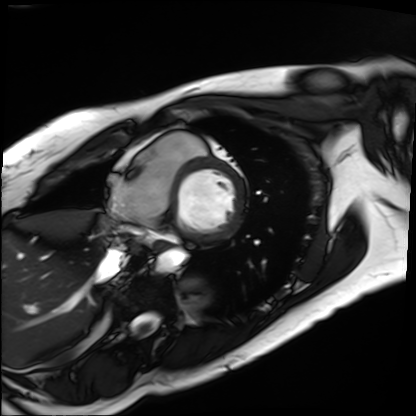
Q: What kind of scan is this?
A: Cardiac MRI.
Subject group: patient.